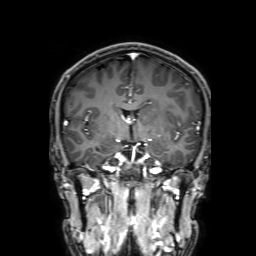
Case:
* modality — 3 Tesla brain MRI
* series — 3D T1-weighted with SENSE
* study — ring-enhancing brain masses